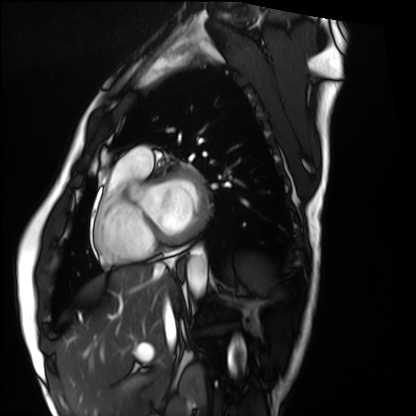
<study>
  <modality>cardiac MRI</modality>
  <cohort>healthy volunteer</cohort>
</study>